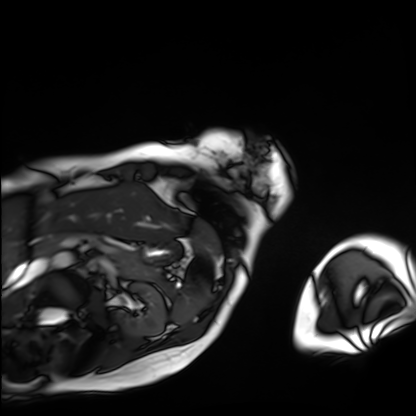
  modality: cardiac MRI
  cohort: patient